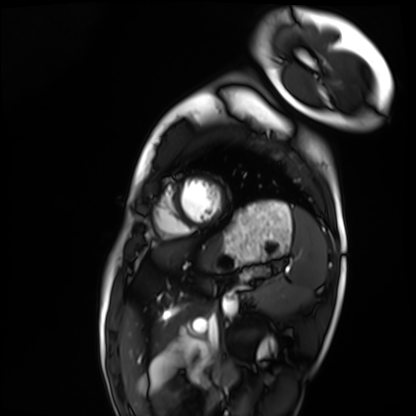
Cardiac MRI. Subject group: healthy volunteer.